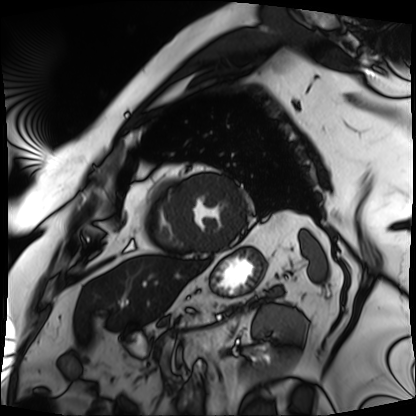
- modality — cardiac MRI
- subject group — patient